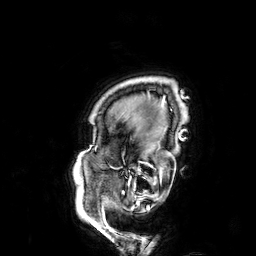
Case:
* modality: 3 Tesla brain MRI
* series: 3D T1-weighted
* study: ring-enhancing brain masses